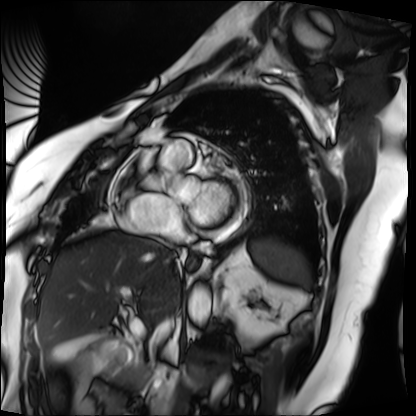
Summary:
Cardiac MRI. Subject group: patient.